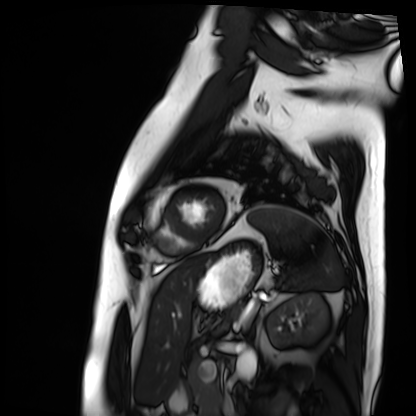
Summary:
Cardiac MRI. Subject group: patient.